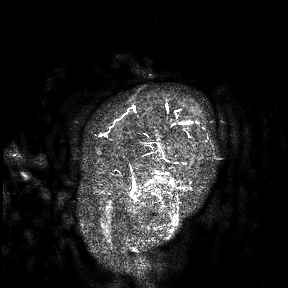
modality:
  type: brain MRI
  field_strength: 3T
study_topic: ring-enhancing brain masses